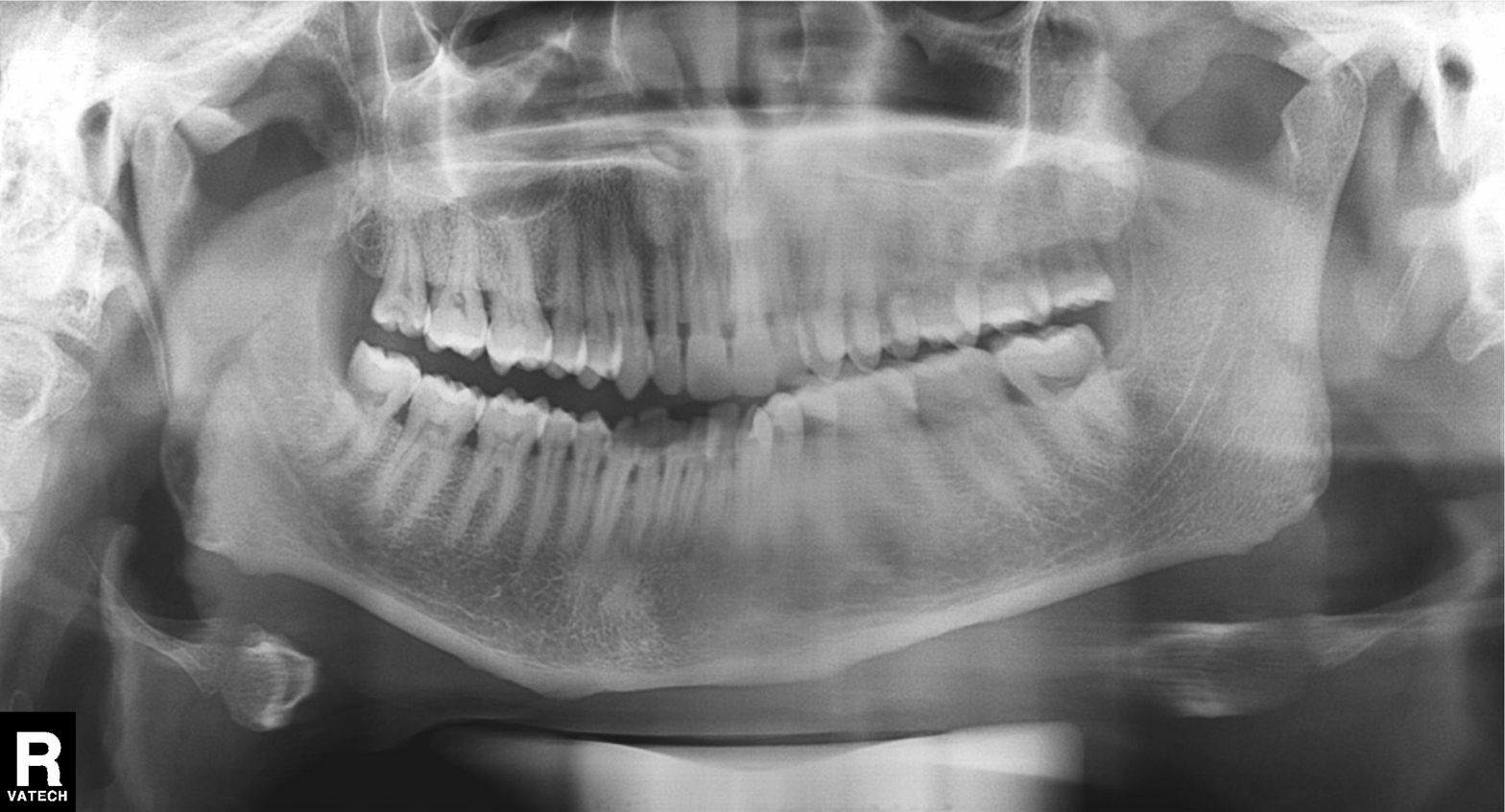
Panoramic dental radiograph (orthopantomogram). Finding: alveolar bone loss.